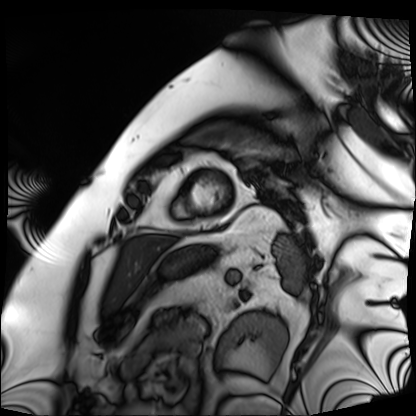
Cardiac MRI.
Subject group: patient.